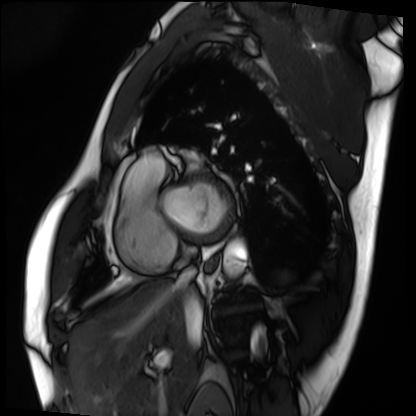
modality: cardiac MRI
subject group: patient